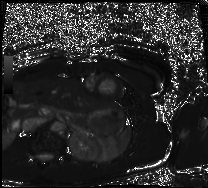
Q: What kind of scan is this?
A: Cardiac MRI.
Subject group: healthy volunteer.